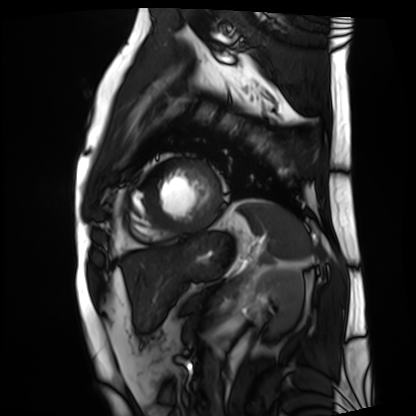
Cardiac MRI. Subject group: patient.